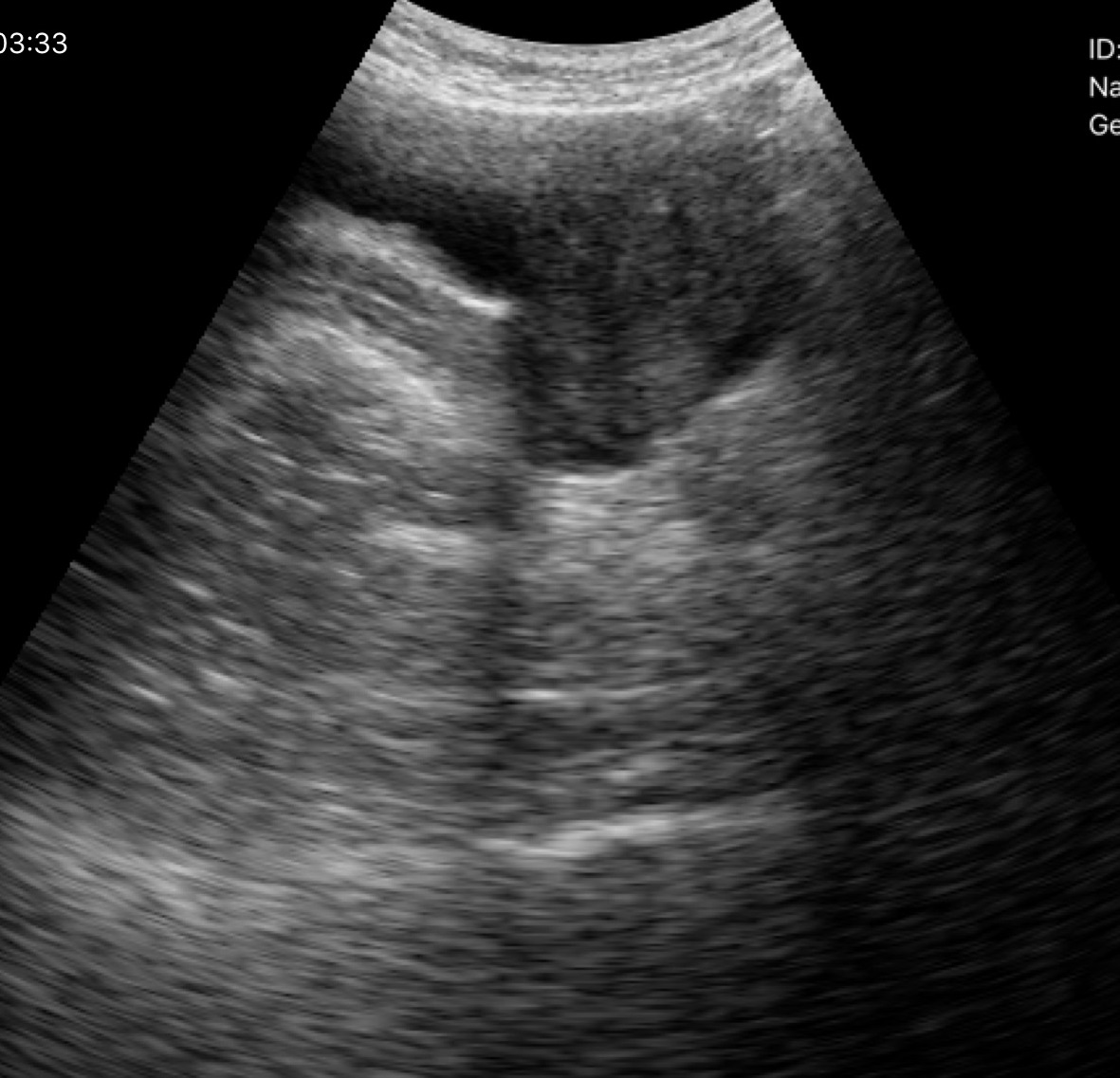
Genitourinary ultrasound.